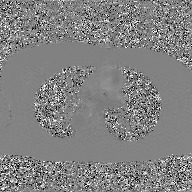
2D phase-contrast cine MRI of the ascending aorta, GAN super-resolution reconstruction.